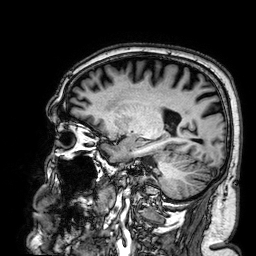
3 Tesla brain MRI. Series: 3D T1-weighted. Study: ring-enhancing brain masses.